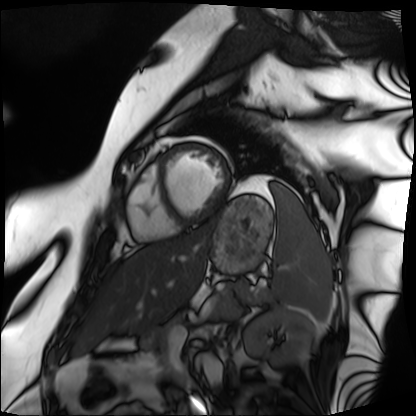
Q: What kind of scan is this?
A: Cardiac MRI.
Subject group: patient.